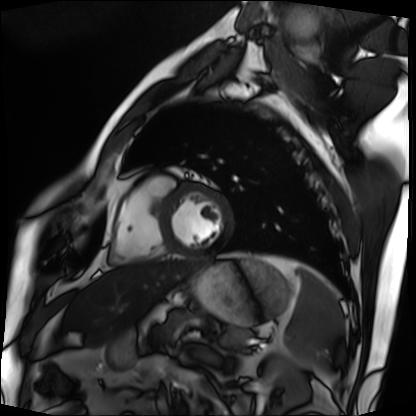
Summary:
Cardiac MRI. Subject group: patient.